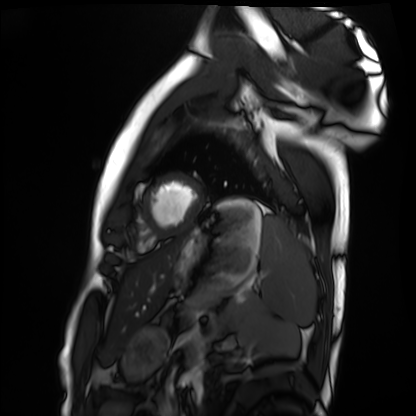
Cardiac MRI.
Subject group: healthy volunteer.